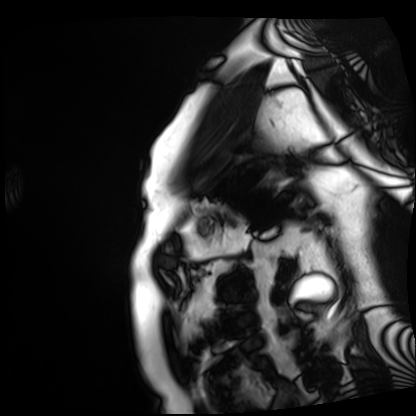
Summary:
Cardiac MRI. Subject group: patient.